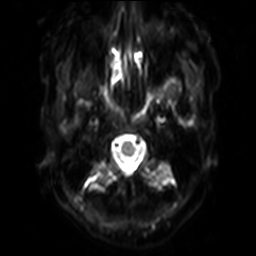
3 Tesla brain MRI. Series: diffusion-weighted imaging with SENSE (WIP). Study: ring-enhancing brain masses.